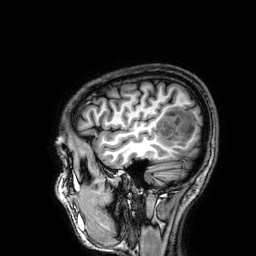
3 Tesla brain MRI. Series: 3D T1-weighted. Study: ring-enhancing brain masses.